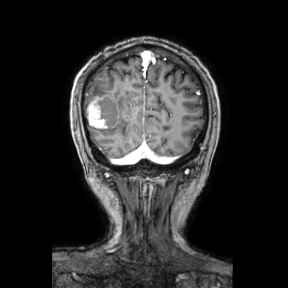
3 Tesla brain MRI. Series: coronal. Study: ring-enhancing brain masses.